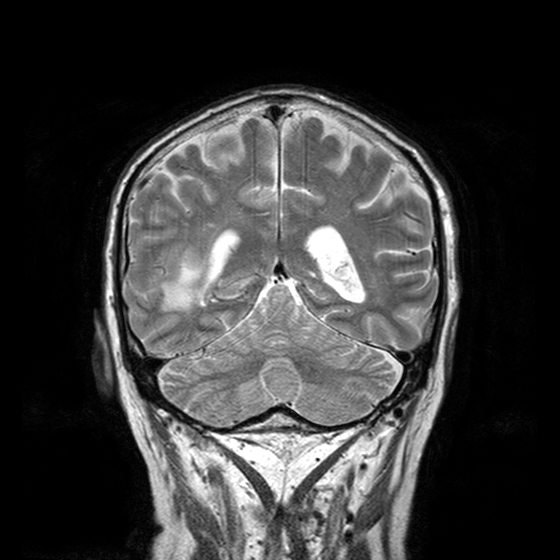
3 Tesla brain MRI. Series: T2-weighted turbo spin echo with CLEAR. Study: ring-enhancing brain masses.